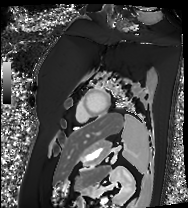
Cardiac MRI.
Subject group: patient.